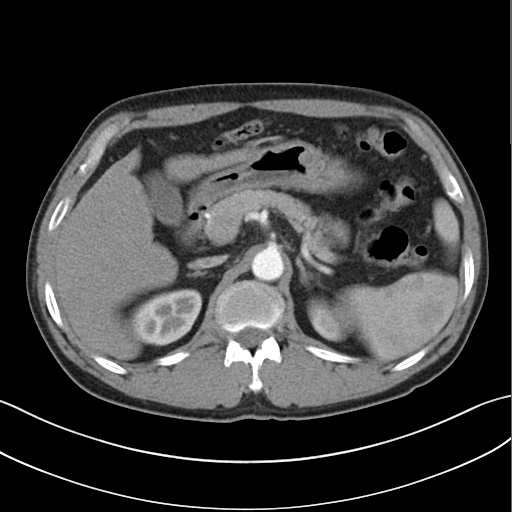
Summary:
Multiphase abdominal CT, liver, arterial phase. Patient: male, age 58. History: cirrhosis, viral hepatitis.